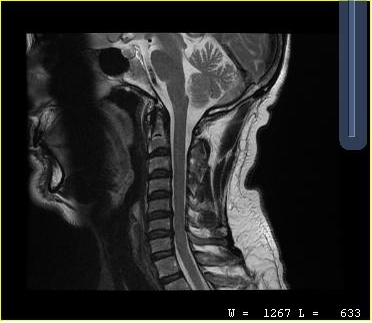
MRI of the cervical spine.
Study: cervical spondylosis.